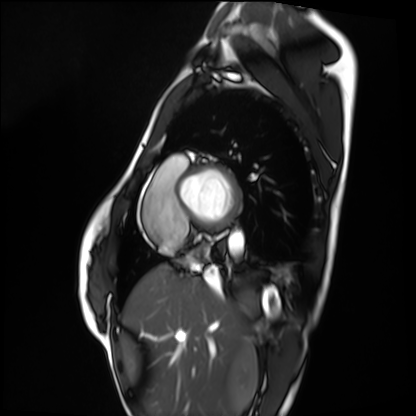
Cardiac MRI.
Subject group: healthy volunteer.